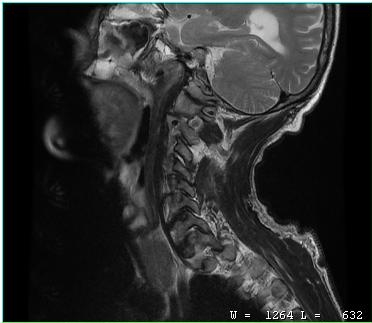
MRI of the cervical spine.
Study: cervical spondylosis.